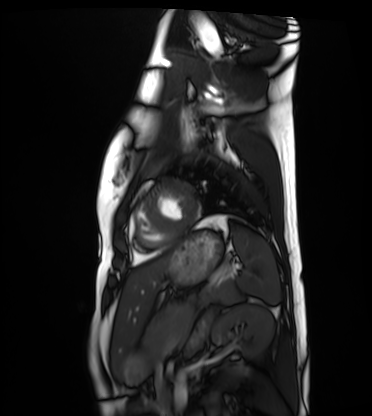
  modality: cardiac MRI
  cohort: healthy volunteer